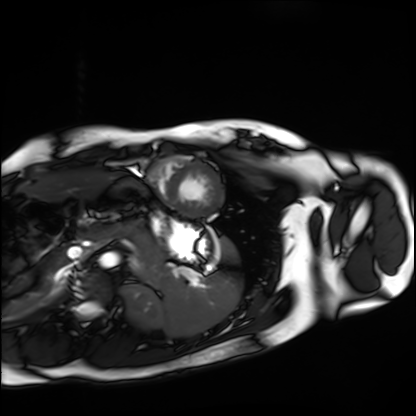
Clinical context:
Cardiac MRI. Subject group: healthy volunteer.